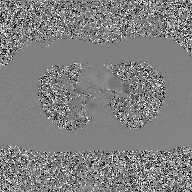
– modality · 2D phase-contrast cine MRI of the ascending aorta, GAN super-resolution reconstruction